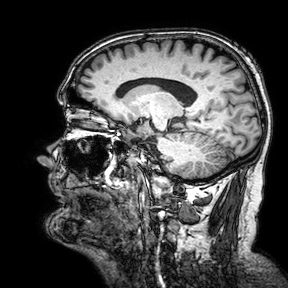
3 Tesla brain MRI.
Series: 3D T1-weighted turbo field echo with SENSE.
Study: ring-enhancing brain masses.